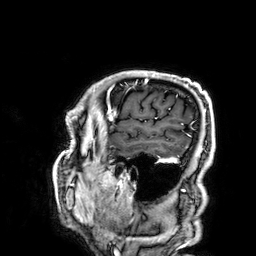
modality: 3 Tesla brain MRI; series: 3D T1-weighted; study: ring-enhancing brain masses.